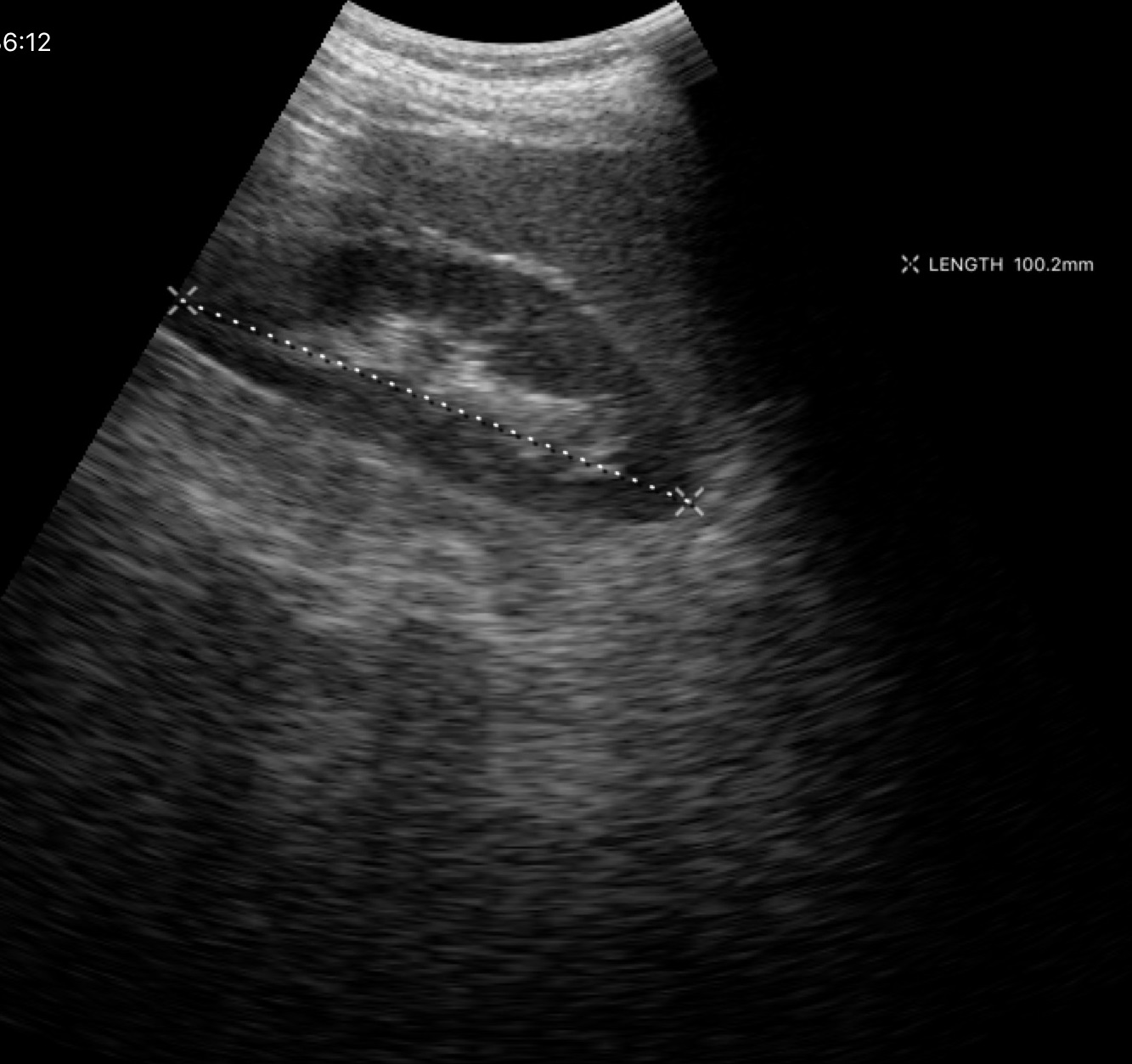
Genitourinary ultrasound.